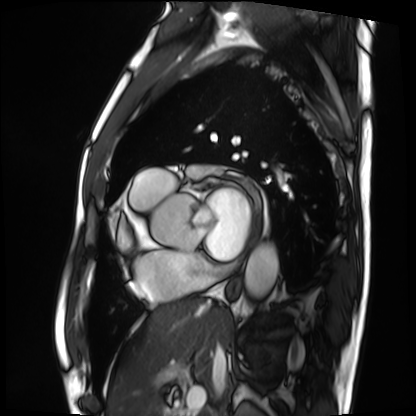
Cardiac MRI. Subject group: patient.